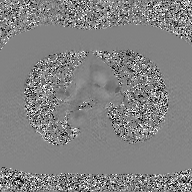
Summary:
2D phase-contrast cine MRI of the ascending aorta, GAN super-resolution reconstruction.